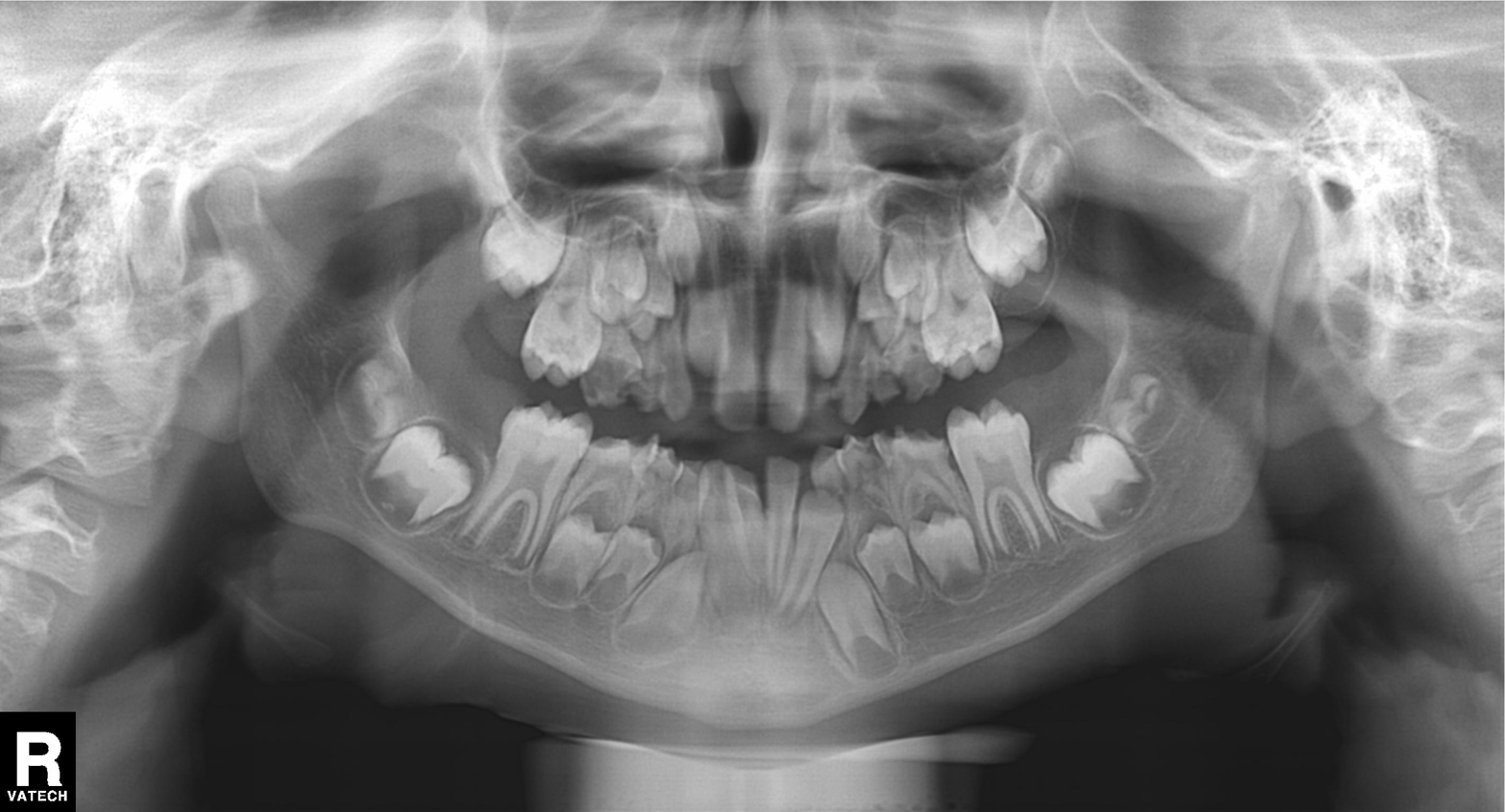
Findings:
* modality — panoramic dental radiograph (orthopantomogram)
* finding — dental caries (cavities)